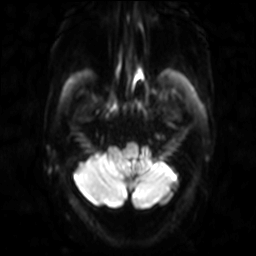
Case:
• modality · 3 Tesla brain MRI
• series · diffusion-weighted imaging
• study · ring-enhancing brain masses